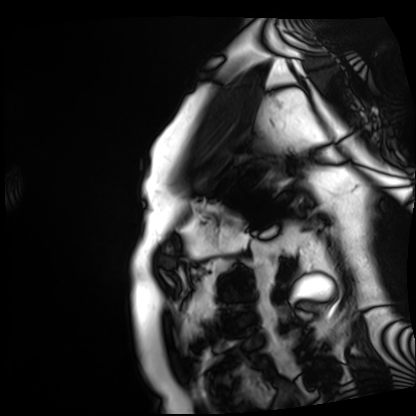
Cardiac MRI.
Subject group: patient.